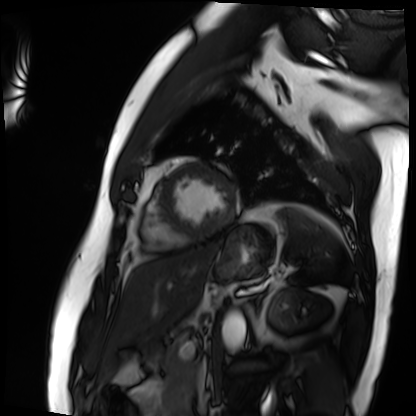
– modality · cardiac MRI
– subject group · patient